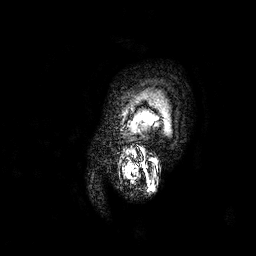
3 Tesla brain MRI. Series: 3D T1-weighted. Study: ring-enhancing brain masses.